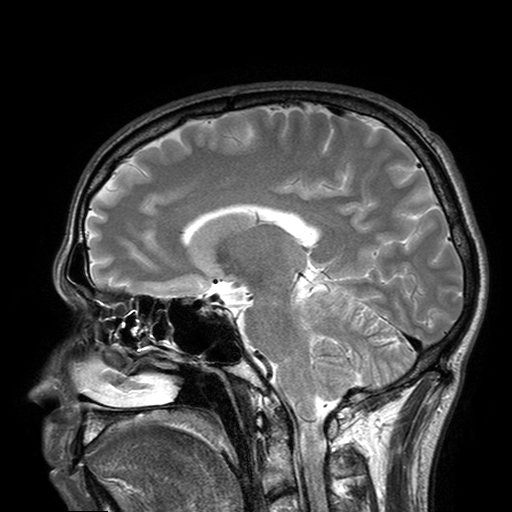
3 Tesla brain MRI. Series: T2-weighted turbo spin echo with SENSE. Study: ring-enhancing brain masses.